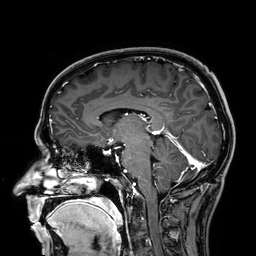
3 Tesla brain MRI.
Series: 3D T1-weighted.
Study: ring-enhancing brain masses.